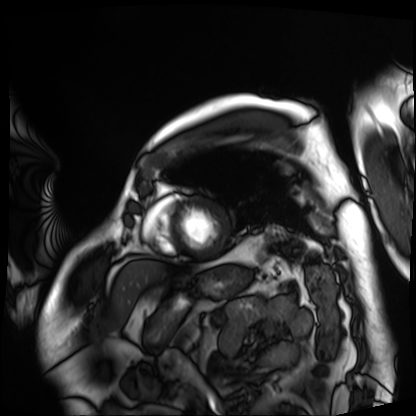
Cardiac MRI. Subject group: patient.